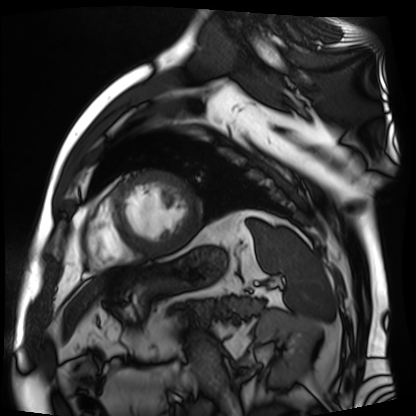
Cardiac MR image of the myocardium. Subject cohort: cardiac patient.